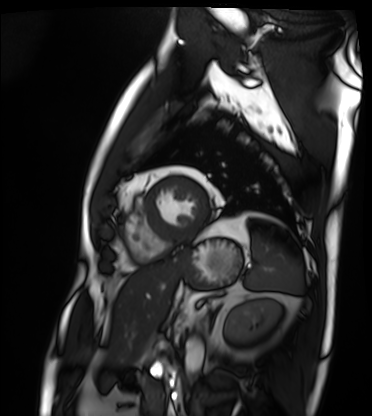
Cardiac MRI.
Subject group: patient.